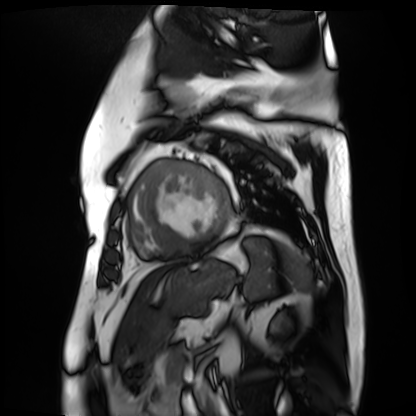
| field | value |
|---|---|
| modality | cardiac MR image of the myocardium |
| subject cohort | cardiac patient |